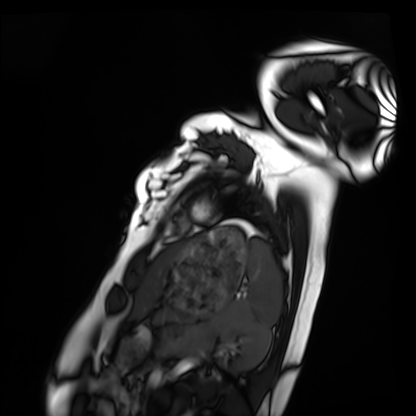
Case:
• modality: cardiac MRI
• subject group: healthy volunteer